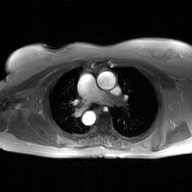
Summary:
2D phase-contrast cine MRI of the ascending aorta, GAN super-resolution reconstruction.